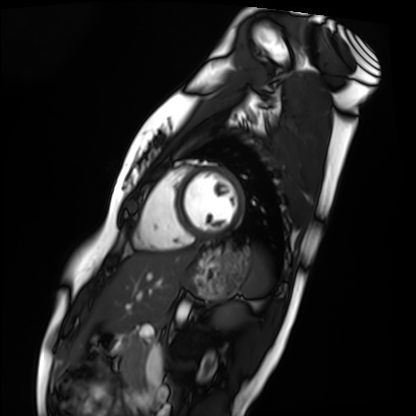
Cardiac MRI.
Subject group: healthy volunteer.